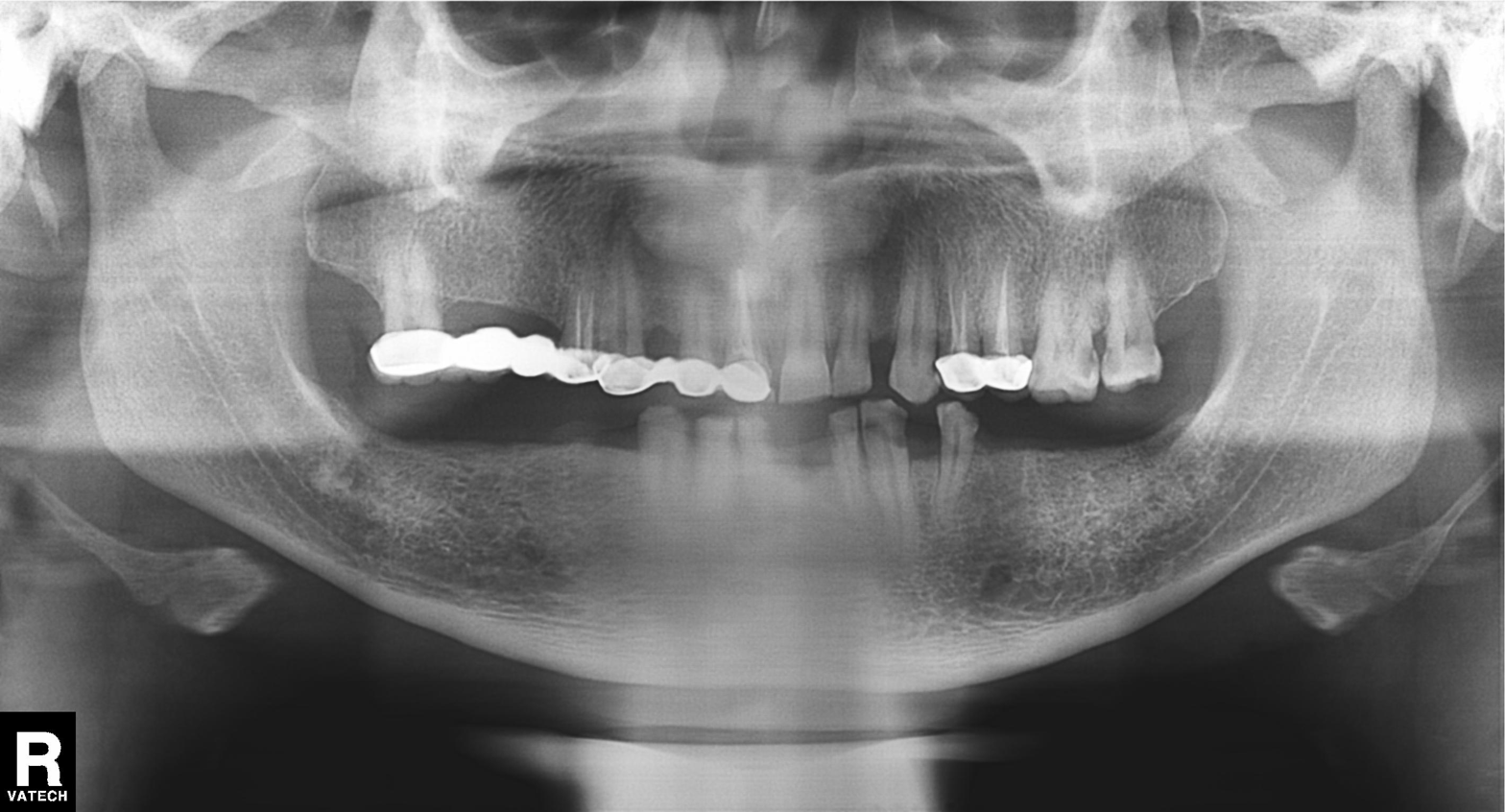
modality=panoramic dental radiograph (orthopantomogram)
finding=dental caries (cavities)